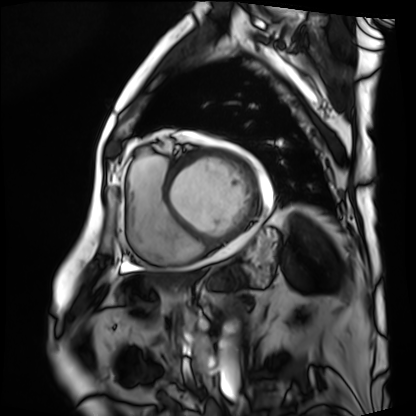
modality = cardiac MRI; subject group = patient.